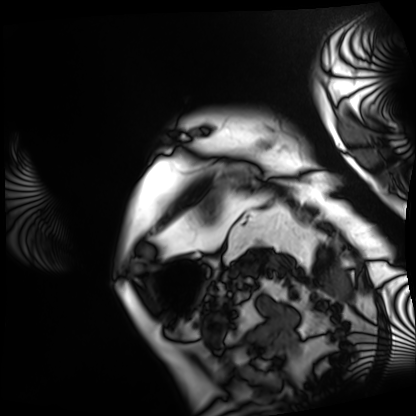
* modality: cardiac MRI
* subject group: patient